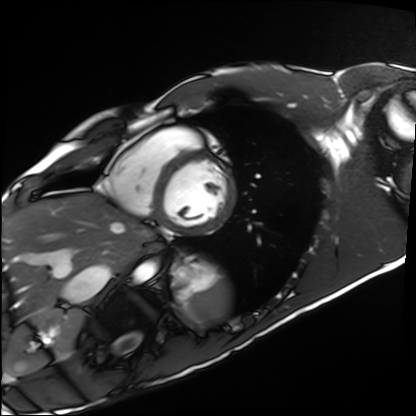
Cardiac MRI. Subject group: healthy volunteer.